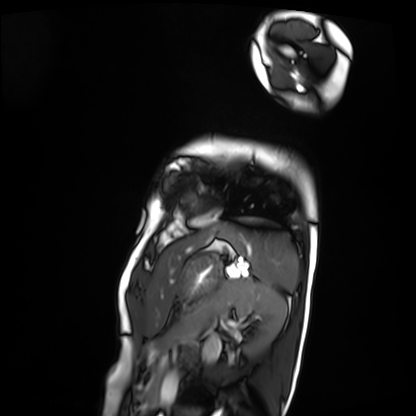
modality=cardiac MRI
subject group=patient